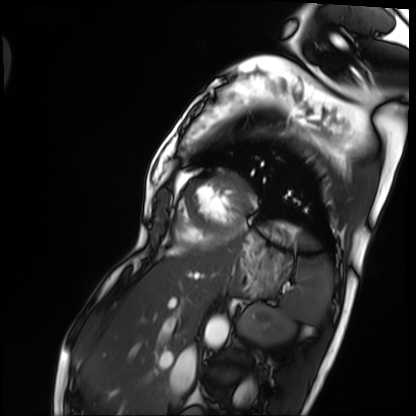
Q: What kind of scan is this?
A: Cardiac MRI.
Subject group: patient.